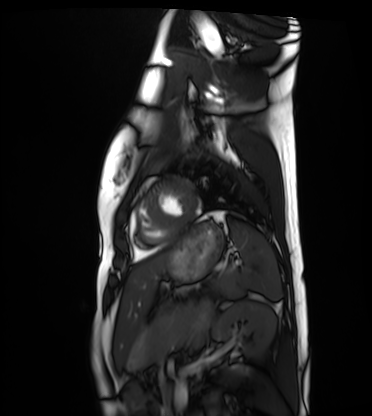
Summary:
Cardiac MRI. Subject group: healthy volunteer.